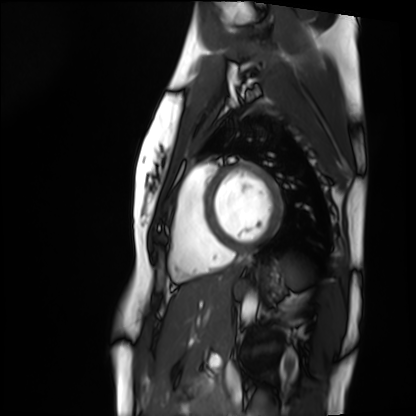
Cardiac MRI. Subject group: healthy volunteer.